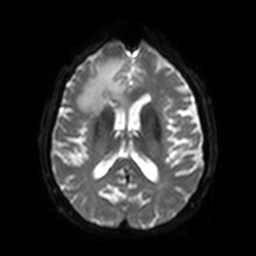
Case:
• modality: 3 Tesla brain MRI
• series: diffusion-weighted imaging with SENSE (WIP)
• study: ring-enhancing brain masses